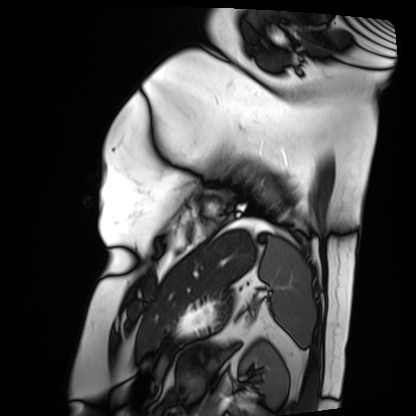
Case:
• modality — cardiac MRI
• subject group — patient